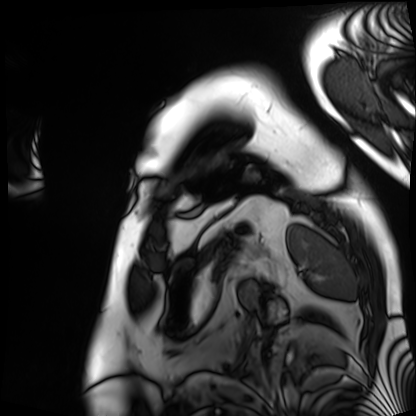
Clinical context: Cardiac MRI. Subject group: patient.